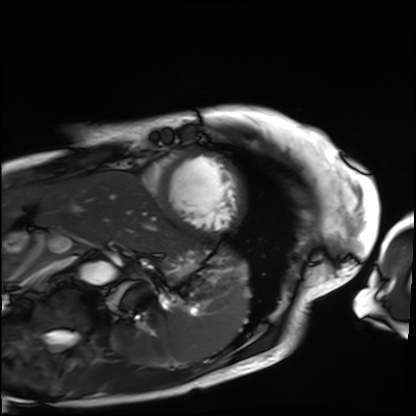
  modality: cardiac MRI
  cohort: patient